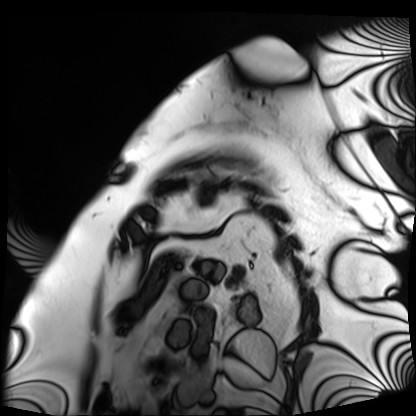
Q: What kind of scan is this?
A: Cardiac MRI.
Subject group: patient.